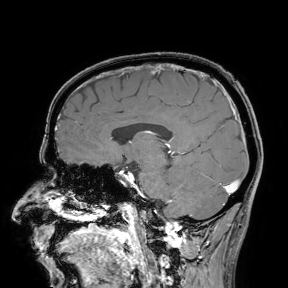
3 Tesla brain MRI.
Study: ring-enhancing brain masses.